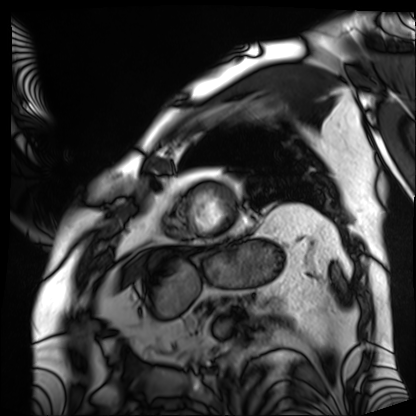
Q: What kind of scan is this?
A: Cardiac MRI.
Subject group: patient.